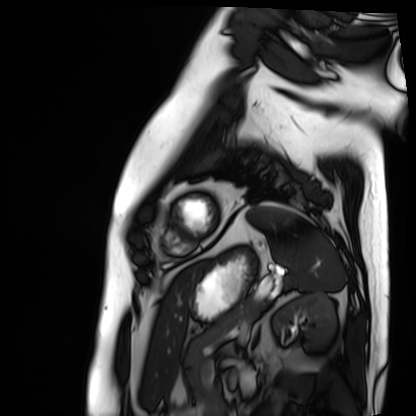
{
  "modality": "cardiac MRI",
  "cohort": "patient"
}